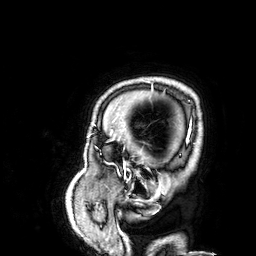
{"modality": {"type": "brain MRI", "field_strength": "3T"}, "series": "3D T1-weighted", "study_topic": "ring-enhancing brain masses"}